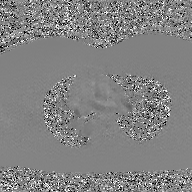
2D phase-contrast cine MRI of the ascending aorta, GAN super-resolution reconstruction.